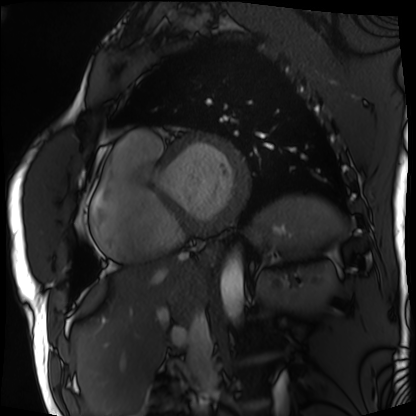
Q: What kind of scan is this?
A: Cardiac MRI.
Subject group: patient.